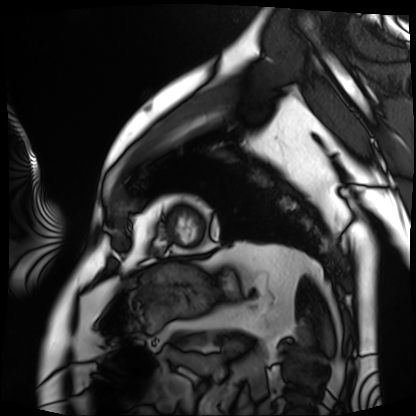
Case:
* modality: cardiac MRI
* subject group: patient